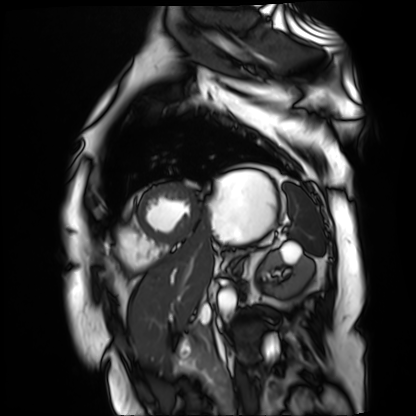
modality — cardiac MR image of the myocardium; subject cohort — cardiac patient.